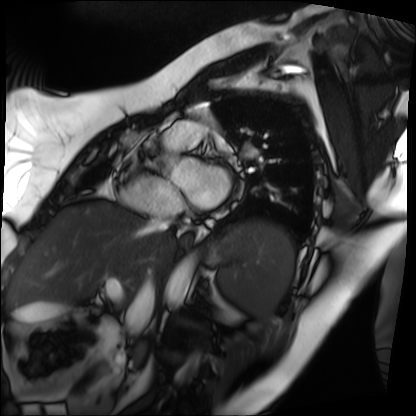
Case summary:
Cardiac MRI. Subject group: patient.